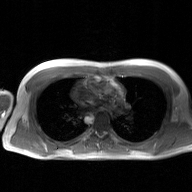
2D phase-contrast cine MRI of the ascending aorta, GAN super-resolution reconstruction.